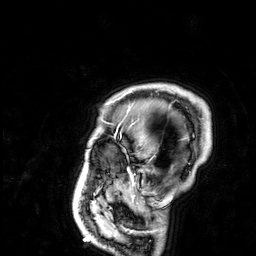
| field | value |
|---|---|
| modality | 3 Tesla brain MRI |
| series | 3D T1-weighted |
| study | ring-enhancing brain masses |